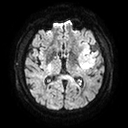
3 Tesla brain MRI.
Series: diffusion tensor imaging (medium iso).
Study: ring-enhancing brain masses.